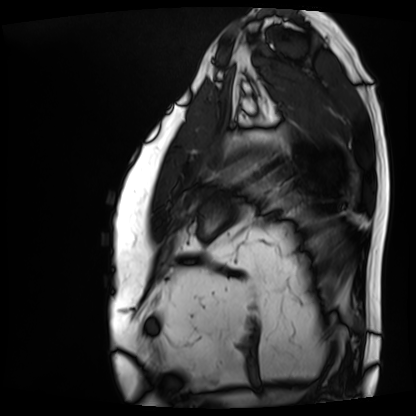
- modality · cardiac MRI
- subject group · patient